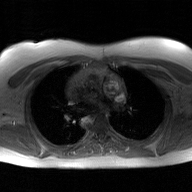
{"modality": {"type": "2D phase-contrast cine MRI", "region": "ascending aorta", "reconstruction": "GAN super-resolution reconstruction"}}